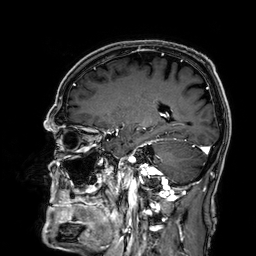
* modality · 3 Tesla brain MRI
* series · 3D T1-weighted
* study · ring-enhancing brain masses